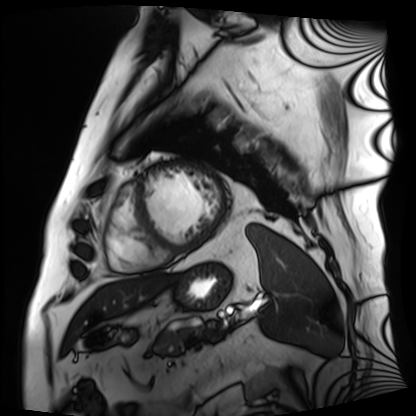
<record>
  <modality>cardiac MRI</modality>
  <cohort>patient</cohort>
</record>